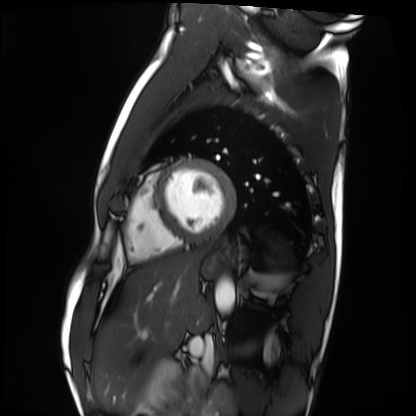
Q: What kind of scan is this?
A: Cardiac MRI.
Subject group: healthy volunteer.